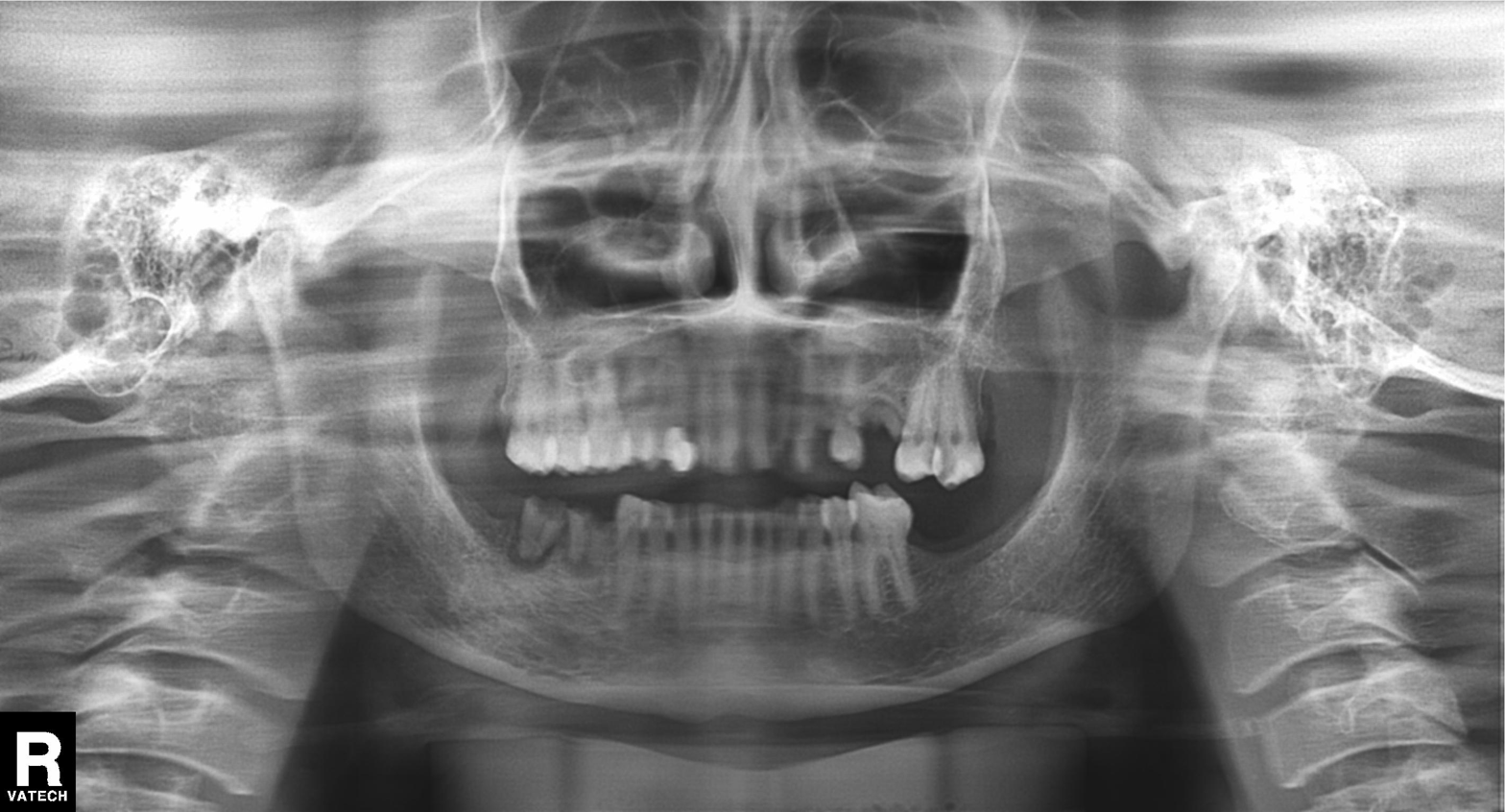
Clinical context: Panoramic dental radiograph (orthopantomogram).
Assessment: Tooth impaction.